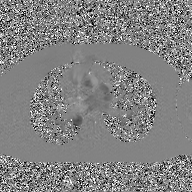
Summary:
2D phase-contrast cine MRI of the ascending aorta, GAN super-resolution reconstruction.